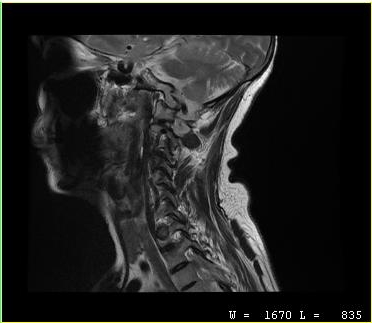
MRI of the cervical spine. Study: cervical spondylosis.